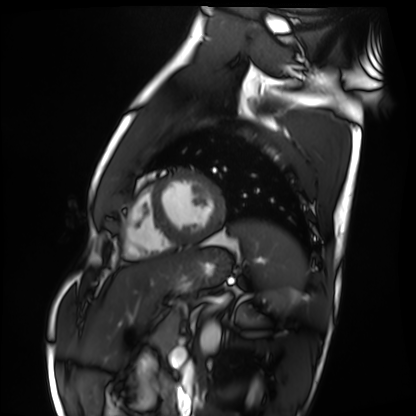
Clinical context:
Cardiac MRI. Subject group: healthy volunteer.